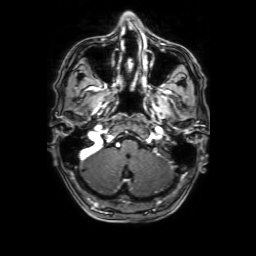
3 Tesla brain MRI. Series: 3D T1-weighted with SENSE. Study: ring-enhancing brain masses.